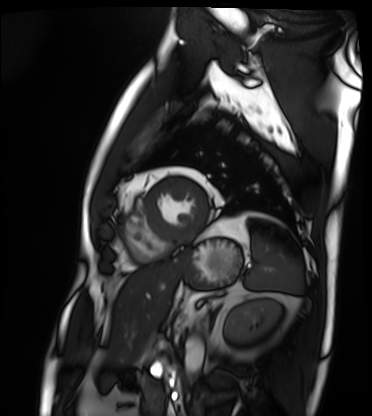
Q: What kind of scan is this?
A: Cardiac MRI.
Subject group: patient.